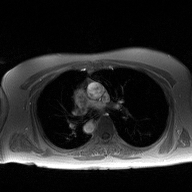
• modality · 2D phase-contrast cine MRI of the ascending aorta